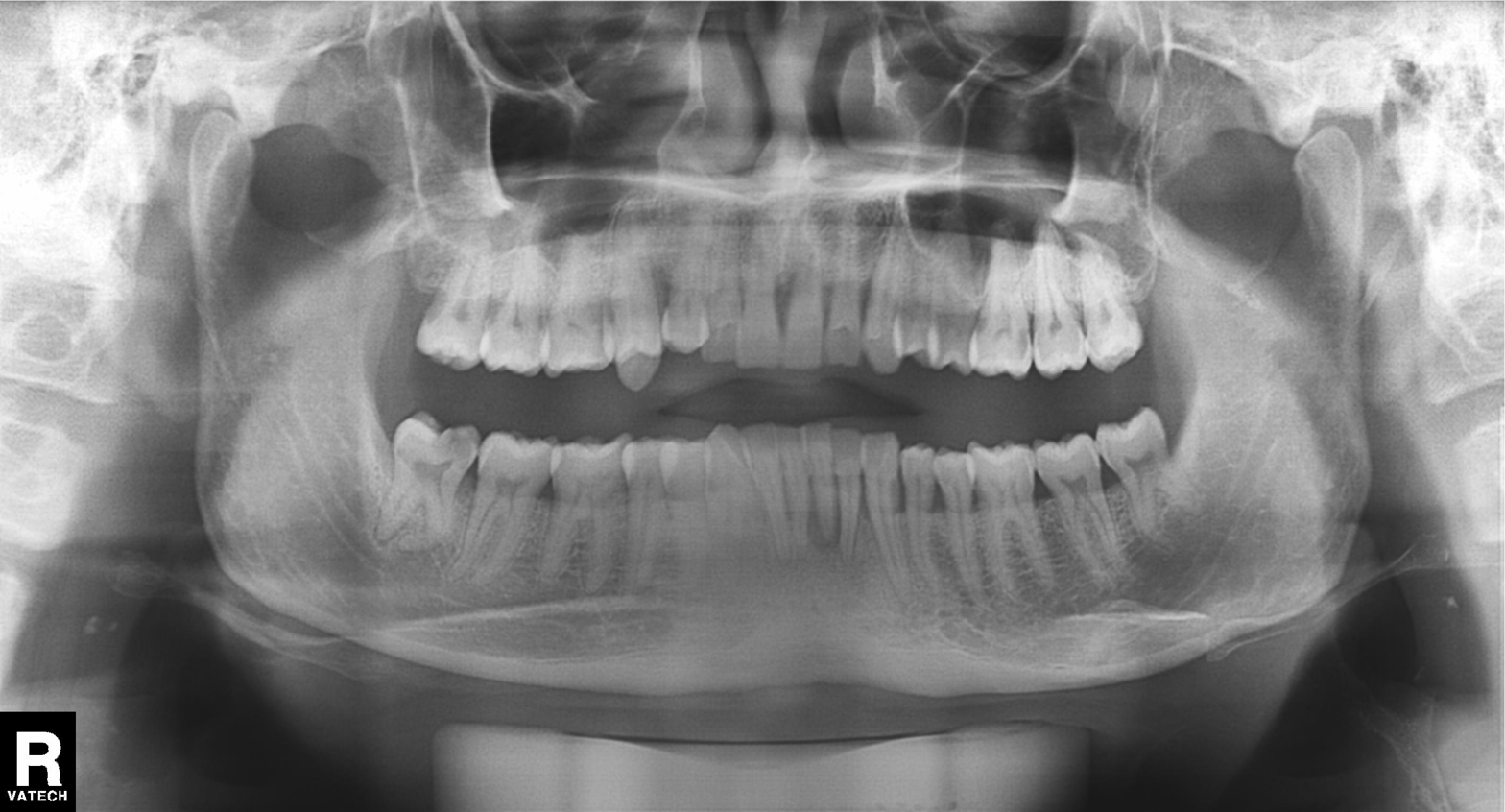
modality = panoramic dental radiograph (orthopantomogram) | finding = tooth impaction.